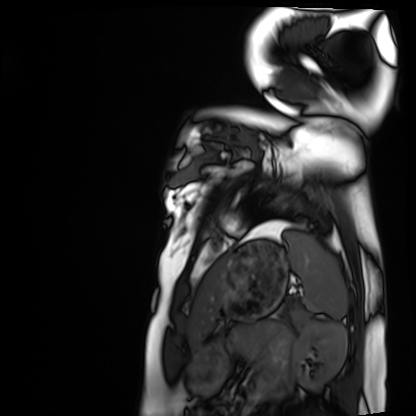
<study>
  <modality>cardiac MRI</modality>
  <cohort>healthy volunteer</cohort>
</study>